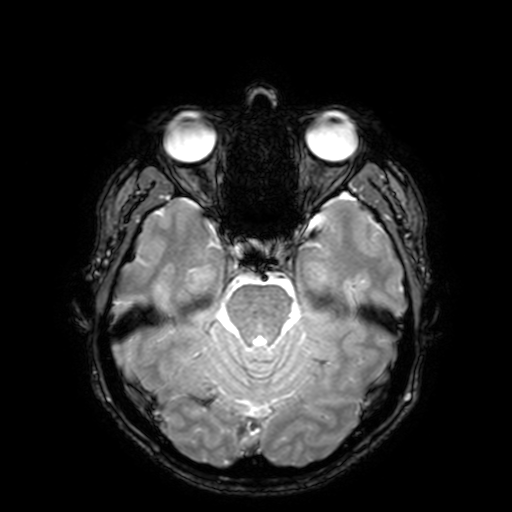
– modality — 3 Tesla brain MRI
– series — T2-weighted fast field echo with SENSE
– study — ring-enhancing brain masses